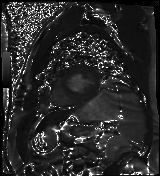
modality — cardiac MR image of the myocardium
subject cohort — cardiac patient